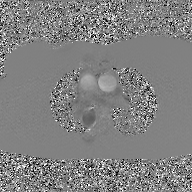
modality: 2D phase-contrast cine MRI of the ascending aorta, GAN super-resolution reconstruction.